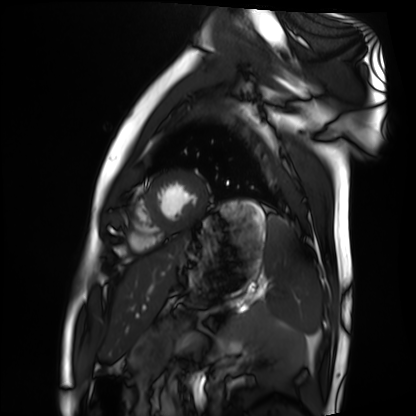
Summary:
Cardiac MRI. Subject group: healthy volunteer.